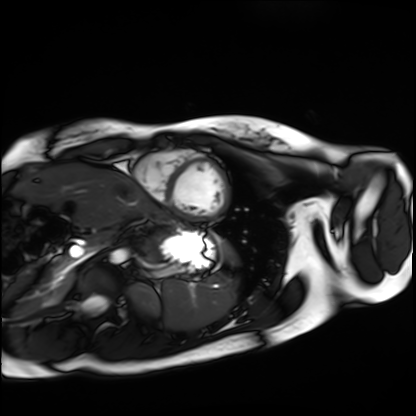
Cardiac MRI. Subject group: healthy volunteer.